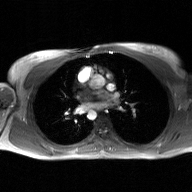
<study>
  <modality>
    <type>2D phase-contrast cine MRI</type>
    <region>ascending aorta</region>
    <reconstruction>GAN super-resolution reconstruction</reconstruction>
  </modality>
</study>